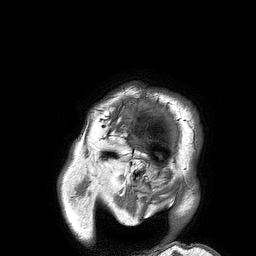
{"modality": {"type": "brain MRI", "field_strength": "3T"}, "series": "3D T1-weighted turbo field echo", "study_topic": "ring-enhancing brain masses"}